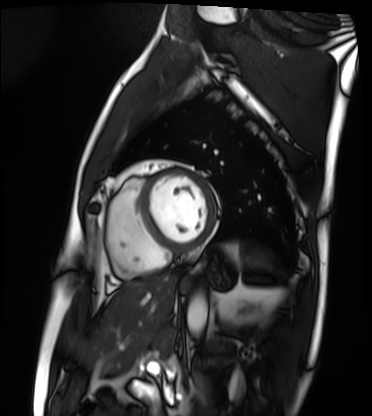
modality = cardiac MRI | subject group = patient.